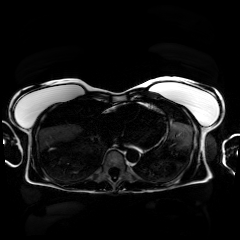
modality=chemical-shift-encoded cardiac MRI.